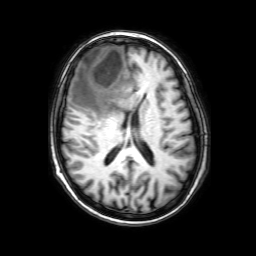
Clinical context:
3 Tesla brain MRI. Series: 3D T1-weighted with SENSE. Study: ring-enhancing brain masses.